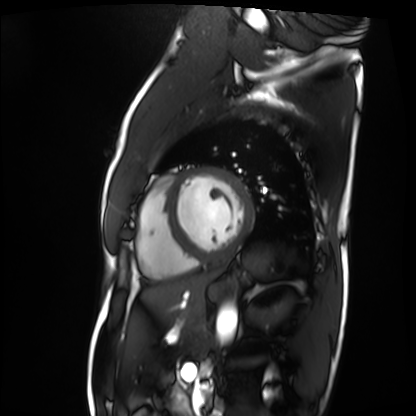
modality: cardiac MRI
subject group: patient